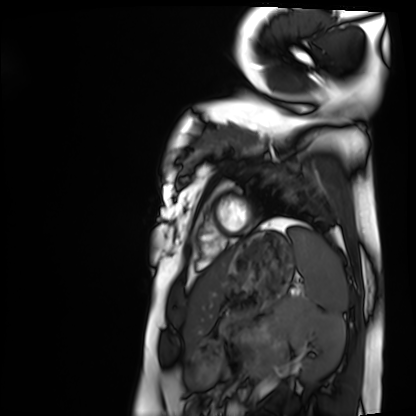
modality = cardiac MRI, subject group = healthy volunteer.